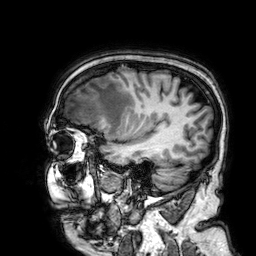
– modality: 3 Tesla brain MRI
– series: 3D T1-weighted
– study: ring-enhancing brain masses